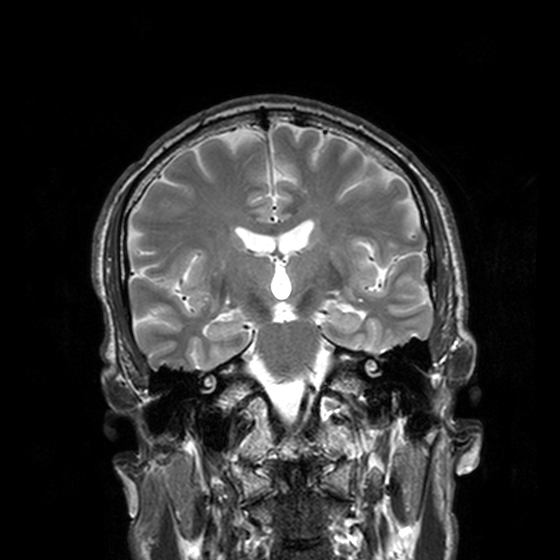
Summary:
3 Tesla brain MRI. Series: T2-weighted turbo spin echo, 3 mm. Study: ring-enhancing brain masses.